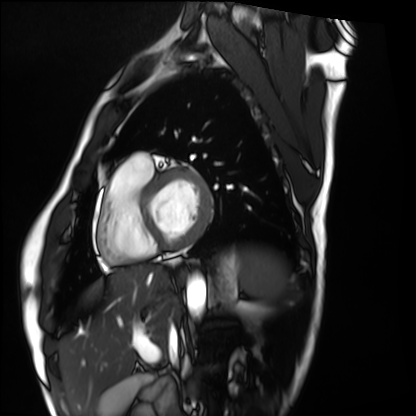
Cardiac MRI. Subject group: healthy volunteer.